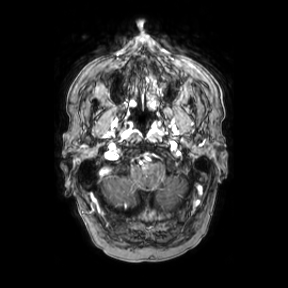
Case:
- modality · 3 Tesla brain MRI
- series · axial
- study · ring-enhancing brain masses